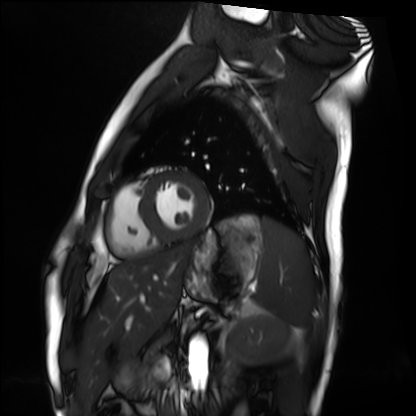
Cardiac MRI.
Subject group: healthy volunteer.